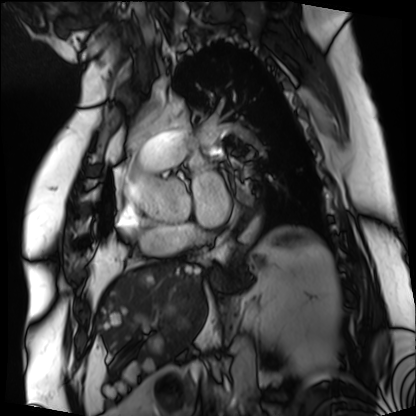
Cardiac MRI.
Subject group: patient.